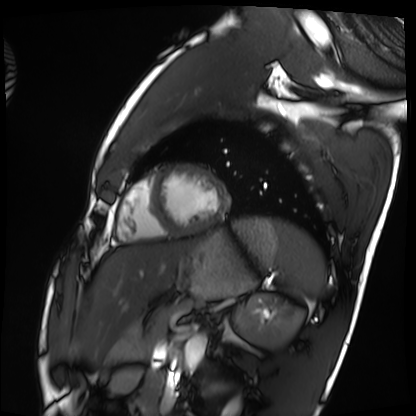
Cardiac MRI. Subject group: healthy volunteer.